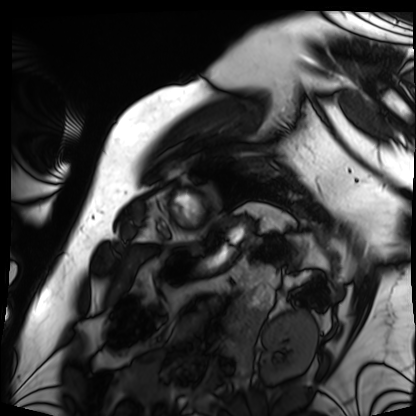
Cardiac MRI. Subject group: patient.